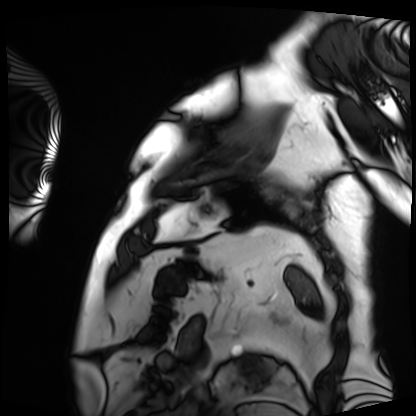
{
  "modality": "cardiac MRI",
  "cohort": "patient"
}